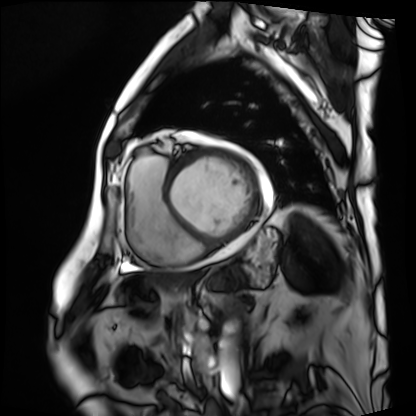
{
  "modality": "cardiac MRI",
  "cohort": "patient"
}